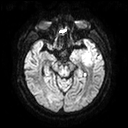
| field | value |
|---|---|
| modality | 3 Tesla brain MRI |
| series | diffusion tensor imaging (medium iso) |
| study | ring-enhancing brain masses |